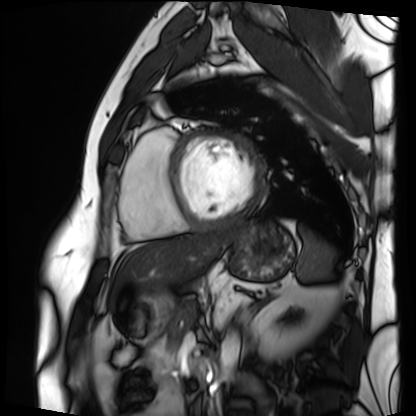
- modality: cardiac MRI
- subject group: patient